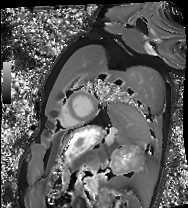
modality — cardiac MRI; subject group — healthy volunteer.